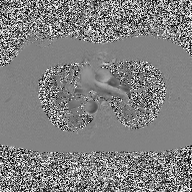
modality: 2D phase-contrast cine MRI of the ascending aorta.